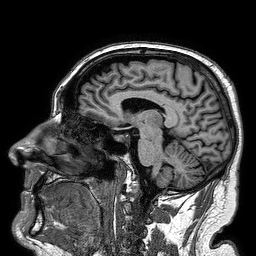
Case summary:
3 Tesla brain MRI. Study: ring-enhancing brain masses.